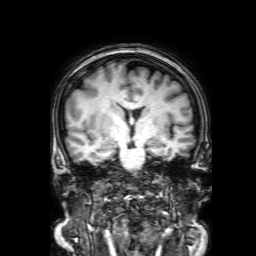
| field | value |
|---|---|
| modality | 3 Tesla brain MRI |
| series | 3D T1-weighted with SENSE |
| study | ring-enhancing brain masses |